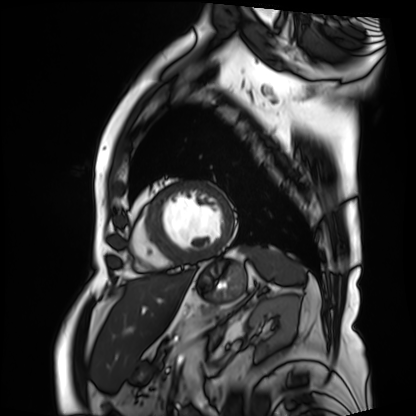
Case summary: Cardiac MRI. Subject group: patient.